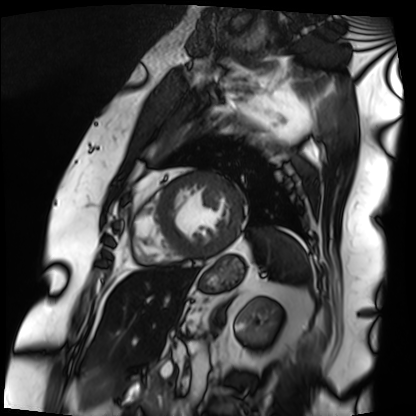
Q: What kind of scan is this?
A: Cardiac MRI.
Subject group: patient.